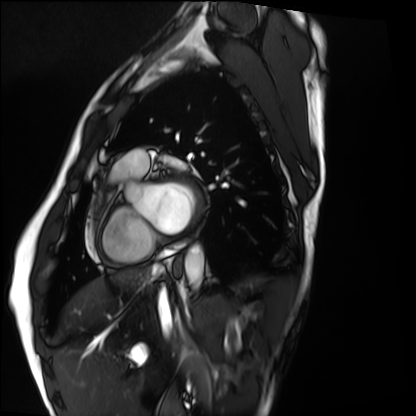
modality: cardiac MRI, subject group: healthy volunteer.